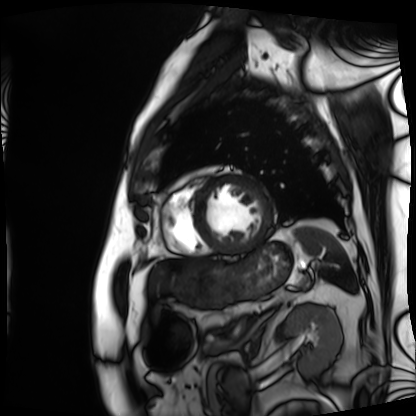
modality: cardiac MRI; subject group: patient.